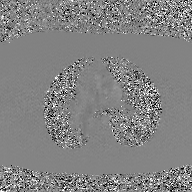
Case summary:
2D phase-contrast cine MRI of the ascending aorta, GAN super-resolution reconstruction.